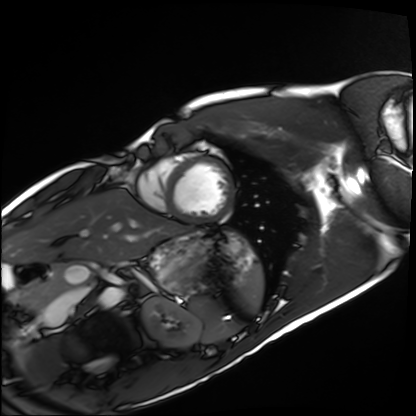
Q: What kind of scan is this?
A: Cardiac MRI.
Subject group: healthy volunteer.